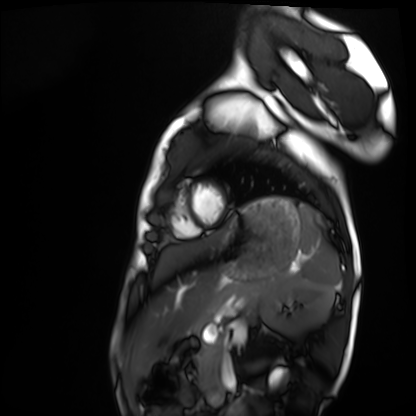
modality = cardiac MRI, subject group = healthy volunteer.